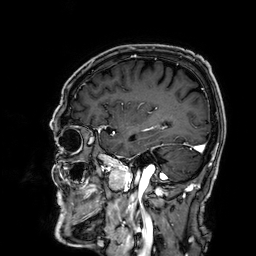
modality: 3 Tesla brain MRI | series: 3D T1-weighted | study: ring-enhancing brain masses.